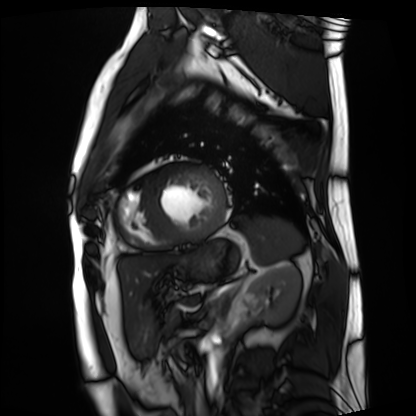
{"modality": "cardiac MRI", "cohort": "patient"}